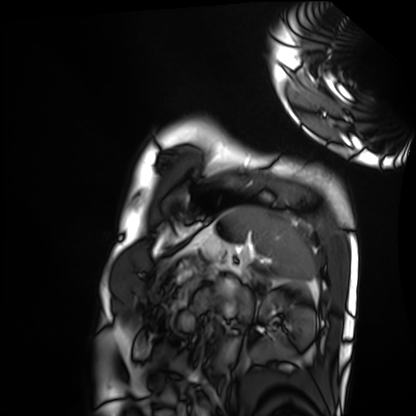
Cardiac MRI.
Subject group: healthy volunteer.